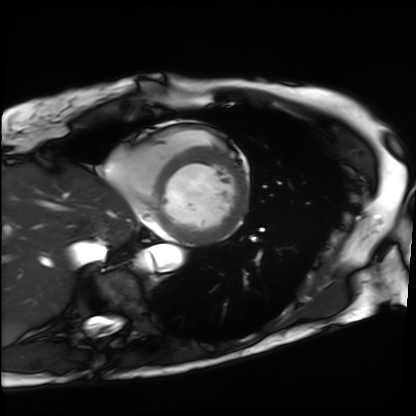
Q: What kind of scan is this?
A: Cardiac MRI.
Subject group: patient.